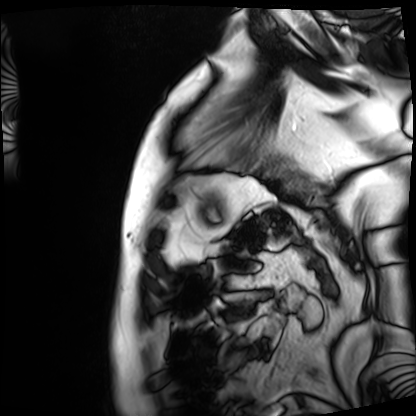
* modality · cardiac MRI
* subject group · patient